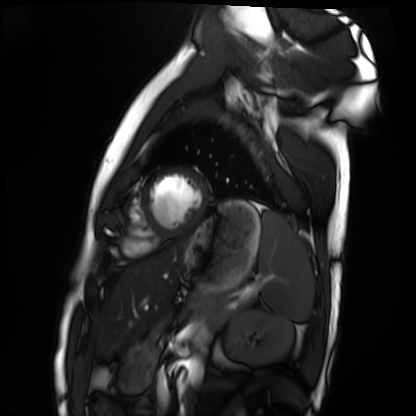
Cardiac MRI. Subject group: healthy volunteer.